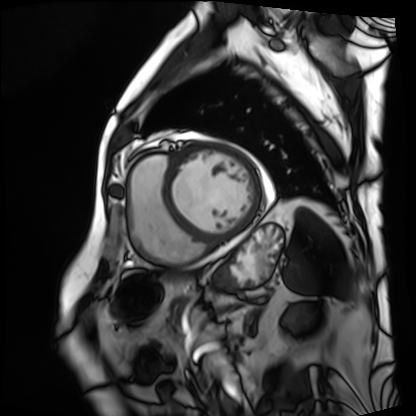
• modality — cardiac MRI
• subject group — patient